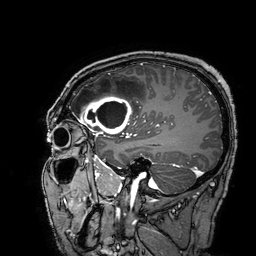
Q: What kind of scan is this?
A: 3 Tesla brain MRI.
Q: Series?
A: 3D T1-weighted turbo field echo with SENSE.
Study: ring-enhancing brain masses.